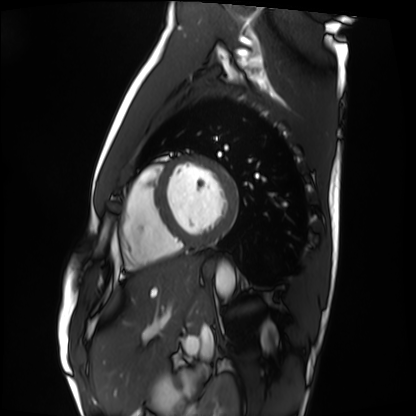
Cardiac MRI.
Subject group: healthy volunteer.